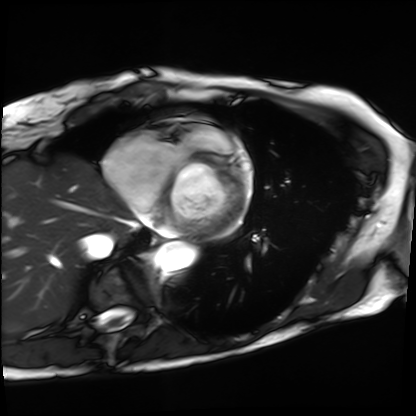
modality: cardiac MRI; subject group: patient.